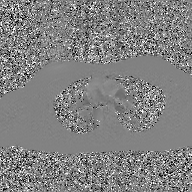
modality:
  type: 2D phase-contrast cine MRI
  region: ascending aorta
  reconstruction: GAN super-resolution reconstruction